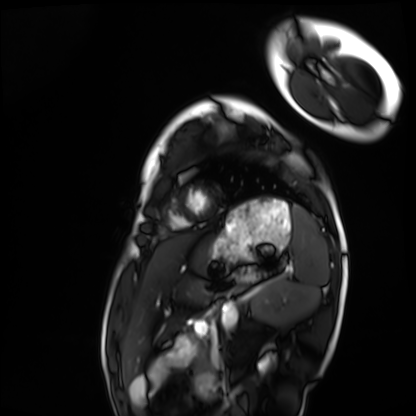
Case summary:
Cardiac MRI. Subject group: healthy volunteer.